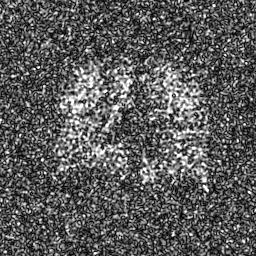
Case summary: Hyperpolarized 129Xe ventilation MRI of the lungs. SNR level 8 of 8 (the deposit holds this scan as its native image and as seven SNR-degraded versions).